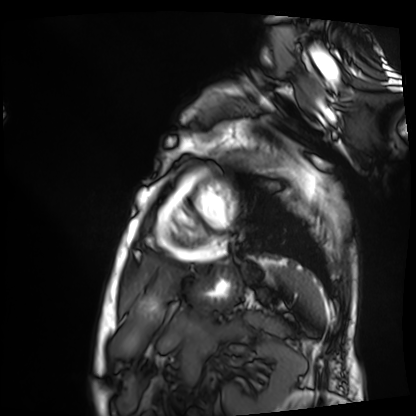
Q: What kind of scan is this?
A: Cardiac MRI.
Subject group: patient.